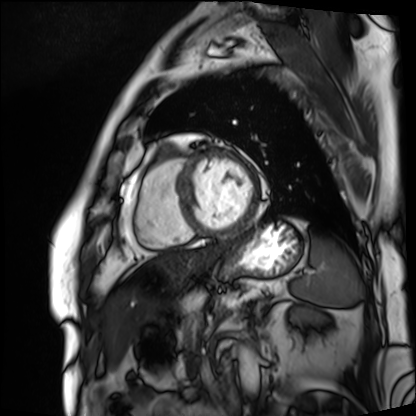
Cardiac MRI. Subject group: patient.